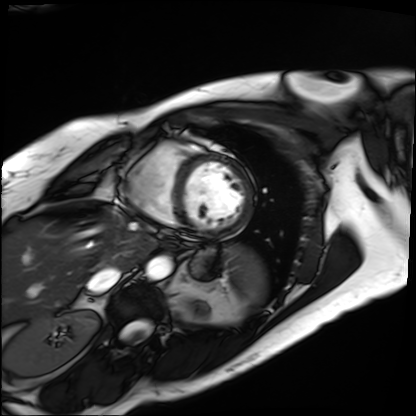
Cardiac MRI. Subject group: patient.